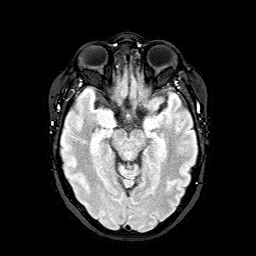
modality: 3 Tesla brain MRI
series: FLAIR with SPAIR
study: ring-enhancing brain masses